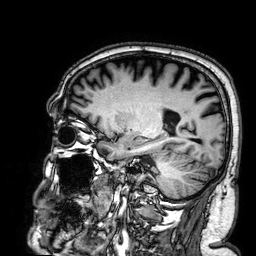
modality: 3 Tesla brain MRI
series: 3D T1-weighted
study: ring-enhancing brain masses